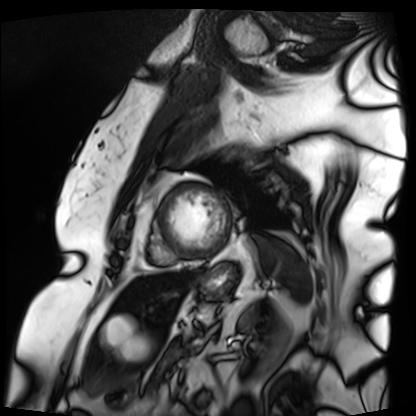
– modality — cardiac MRI
– subject group — patient